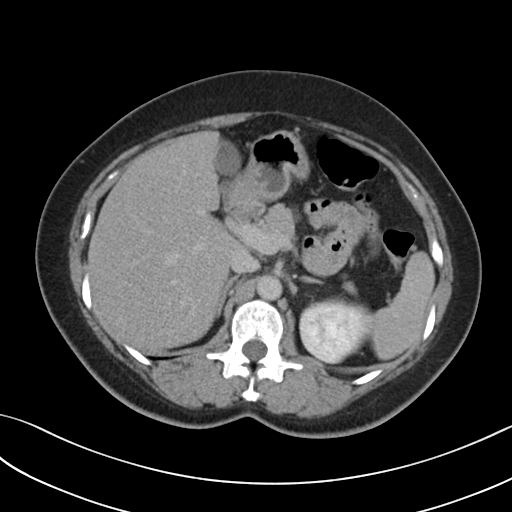
modality:
  type: multiphase abdominal CT
  region: liver
  phase: delayed
patient:
  sex: female
  age: 51
history:
  - prior chemotherapy